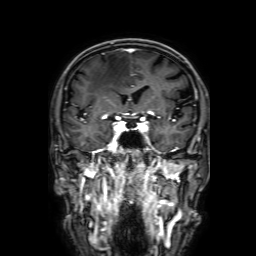
modality: 3 Tesla brain MRI; series: 3D T1-weighted with SENSE; study: ring-enhancing brain masses.